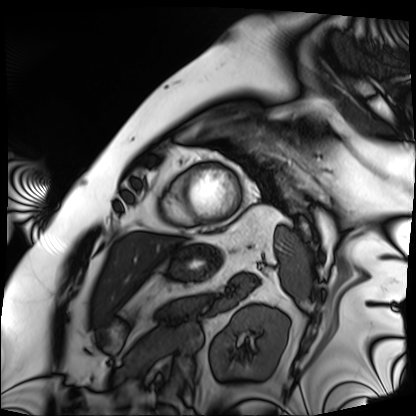
Case:
– modality · cardiac MRI
– subject group · patient